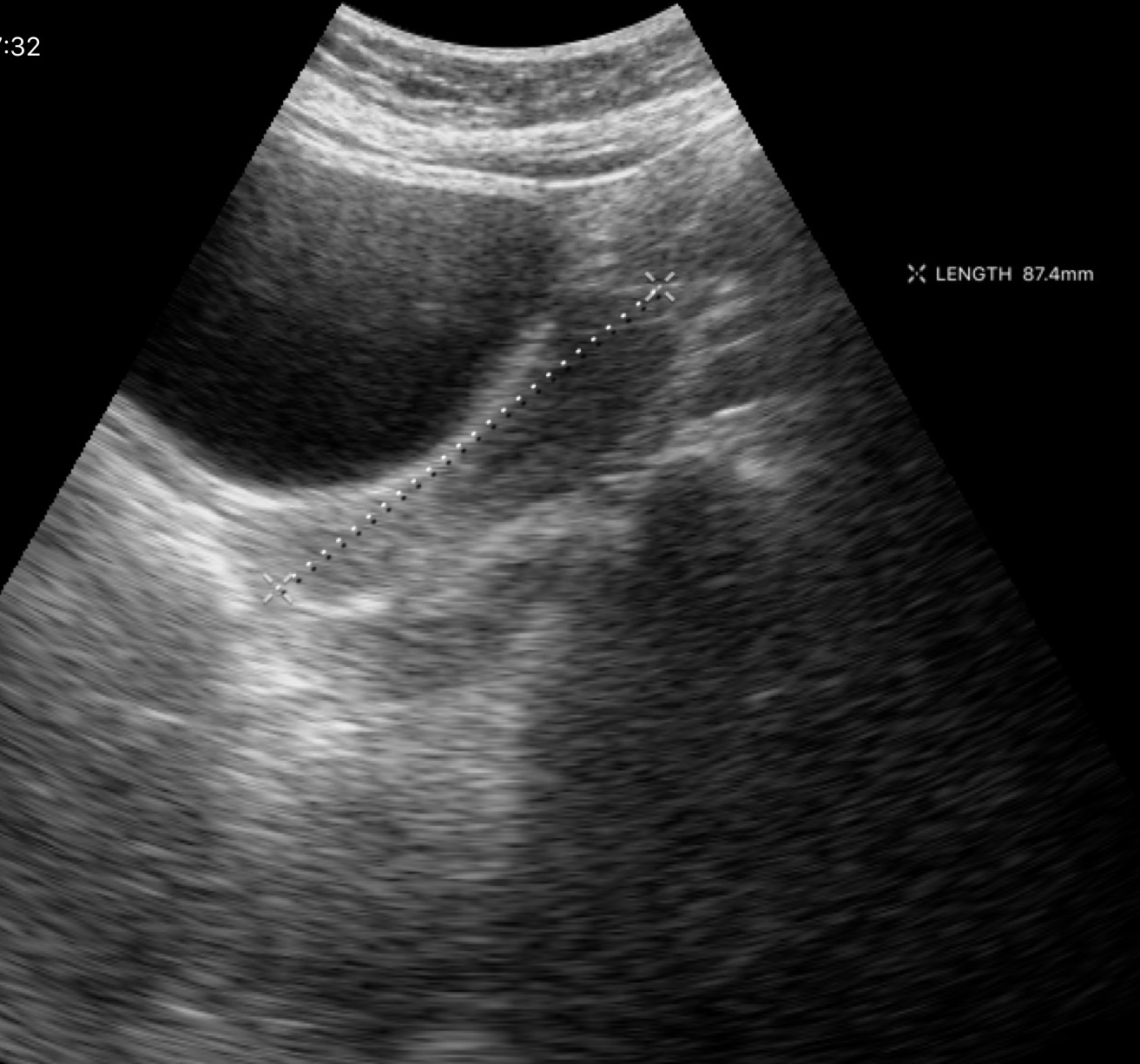
{"modality": {"type": "genitourinary ultrasound"}}